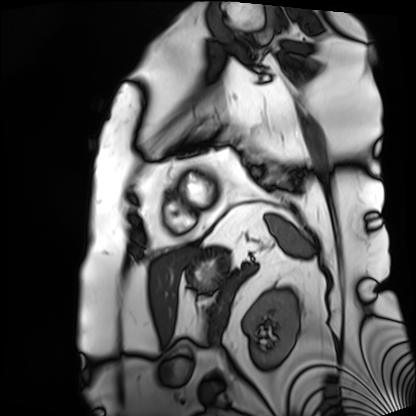
Q: What kind of scan is this?
A: Cardiac MRI.
Subject group: patient.